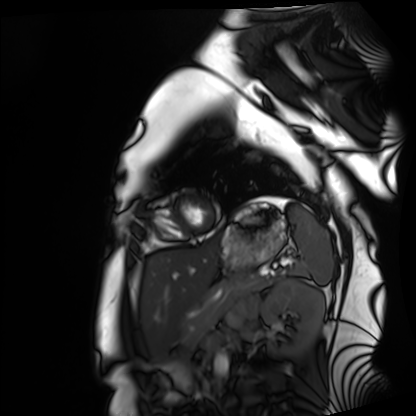
<record>
  <modality>cardiac MRI</modality>
  <cohort>healthy volunteer</cohort>
</record>